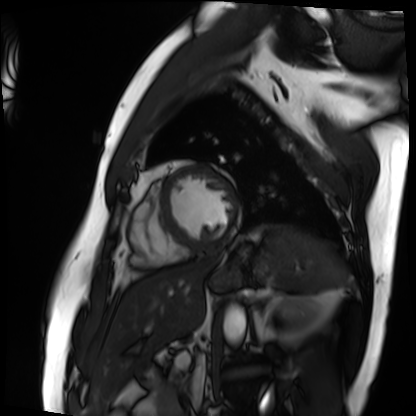
modality: cardiac MRI; subject group: patient.